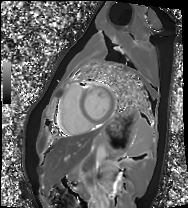
Case summary:
Cardiac MRI. Subject group: healthy volunteer.